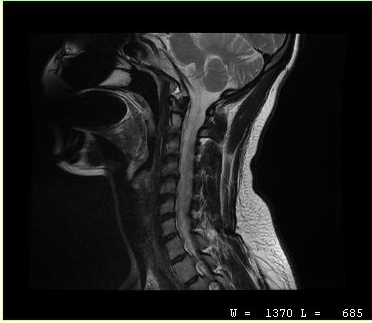
modality = MRI of the cervical spine
study = cervical spondylosis